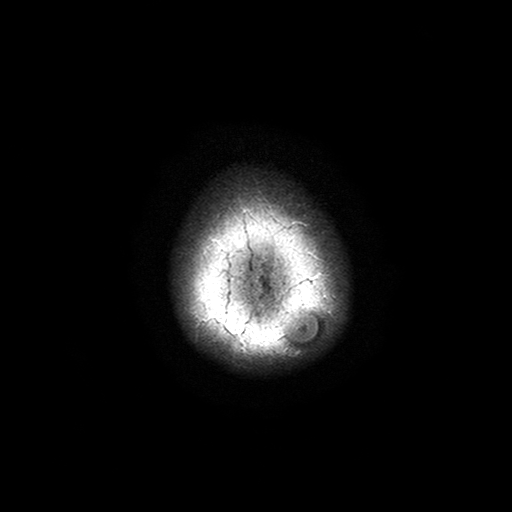
Case summary: 3 Tesla brain MRI. Series: T2-weighted turbo spin echo with SENSE. Study: ring-enhancing brain masses.